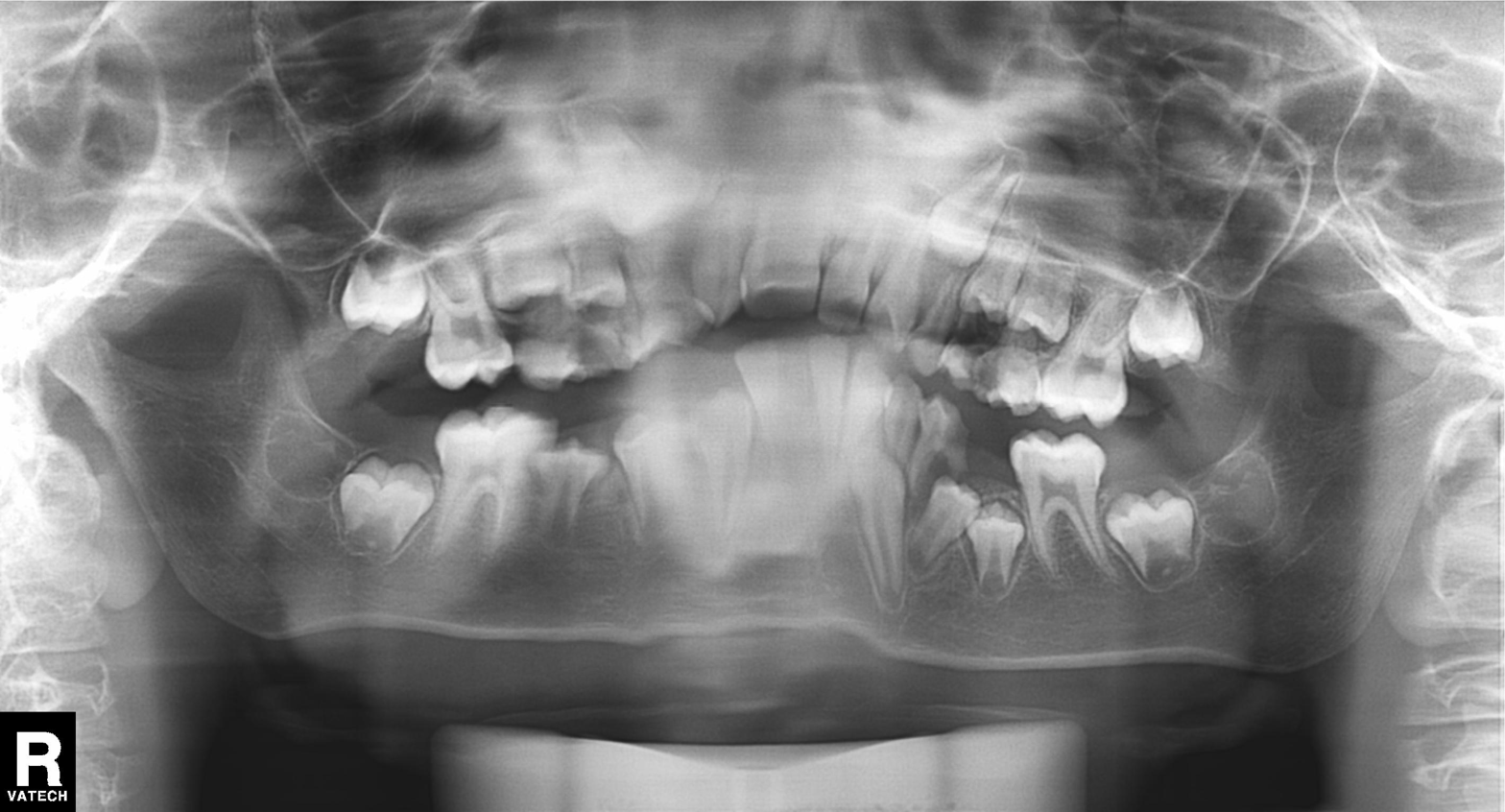
<record>
  <modality>panoramic dental radiograph (orthopantomogram)</modality>
  <finding>alveolar bone loss</finding>
</record>